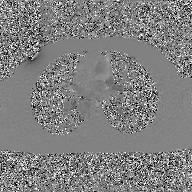
2D phase-contrast cine MRI of the ascending aorta, GAN super-resolution reconstruction.